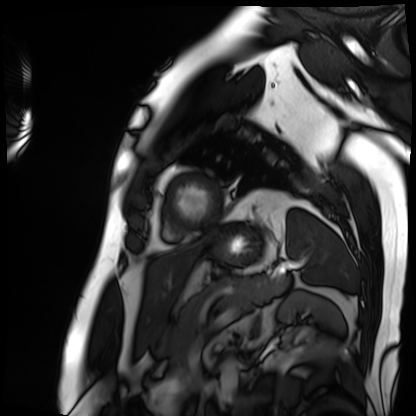
| field | value |
|---|---|
| modality | cardiac MRI |
| subject group | patient |